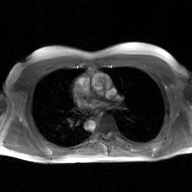
2D phase-contrast cine MRI of the ascending aorta, GAN super-resolution reconstruction.